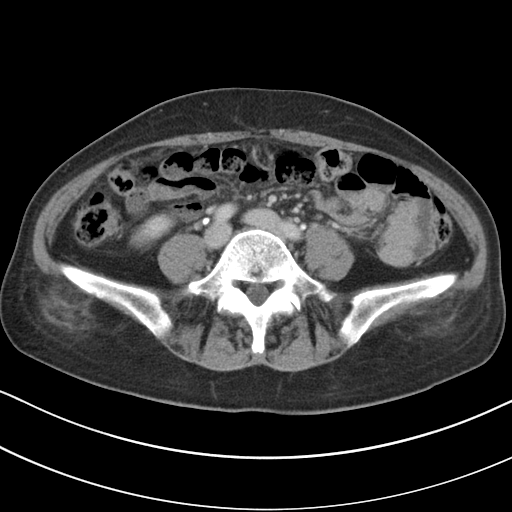
Summary: Multiphase abdominal CT, liver, portal venous phase.